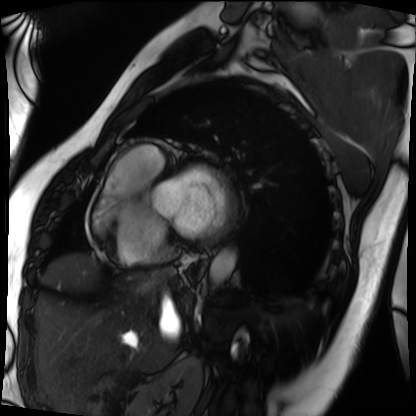
Cardiac MRI.
Subject group: patient.